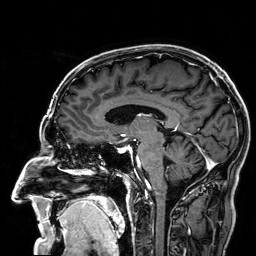
modality = 3 Tesla brain MRI | series = 3D T1-weighted | study = ring-enhancing brain masses.